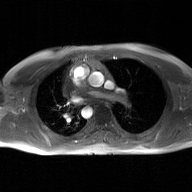
modality — 2D phase-contrast cine MRI of the ascending aorta, GAN super-resolution reconstruction